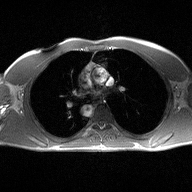
{"modality": {"type": "2D phase-contrast cine MRI", "region": "ascending aorta", "reconstruction": "high-resolution GRAPPA acquisition"}}